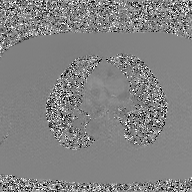
Q: What kind of scan is this?
A: 2D phase-contrast cine MRI of the ascending aorta, GAN super-resolution reconstruction.